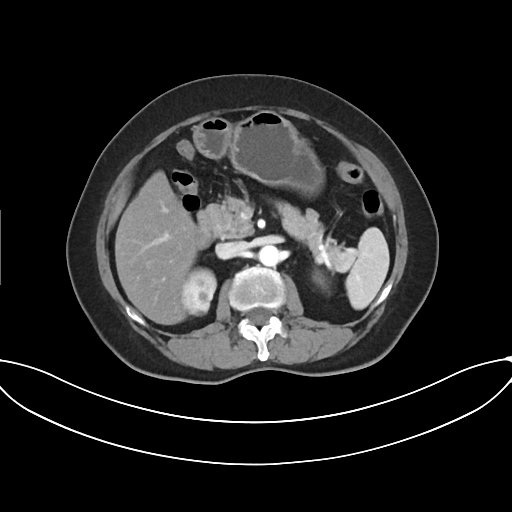
Summary:
Multiphase abdominal CT, liver, arterial phase. Patient: female, age 62.